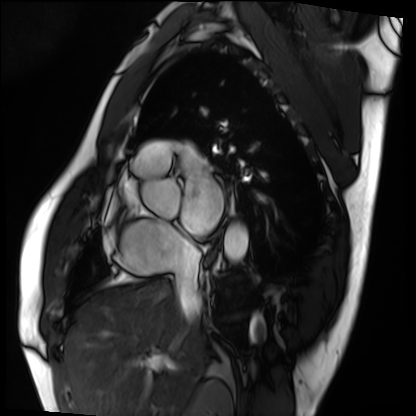
modality = cardiac MRI, subject group = patient.